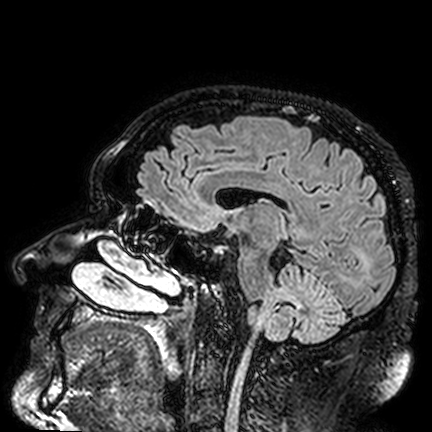
modality = 3 Tesla brain MRI; series = FLAIR VISTA; study = ring-enhancing brain masses.